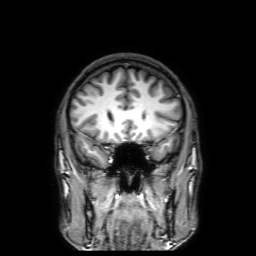
* modality — 3 Tesla brain MRI
* series — 3D T1-weighted with SENSE
* study — ring-enhancing brain masses